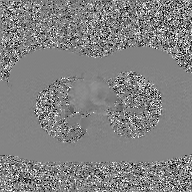
– modality: 2D phase-contrast cine MRI of the ascending aorta, GAN super-resolution reconstruction